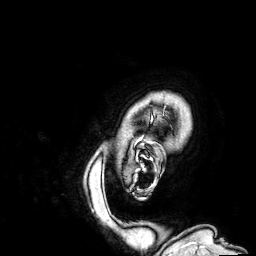
Clinical context:
3 Tesla brain MRI. Series: 3D T1-weighted. Study: ring-enhancing brain masses.